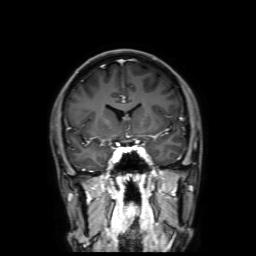
{
  "modality": {
    "type": "brain MRI",
    "field_strength": "3T"
  },
  "series": "3D T1-weighted with SENSE",
  "study_topic": "ring-enhancing brain masses"
}